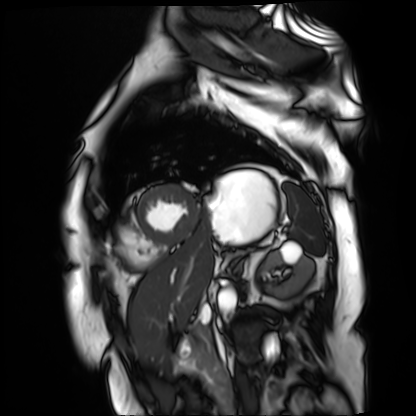
Clinical context: Cardiac MR image of the myocardium. Subject cohort: cardiac patient.